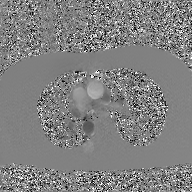
* modality — 2D phase-contrast cine MRI of the ascending aorta, GAN super-resolution reconstruction